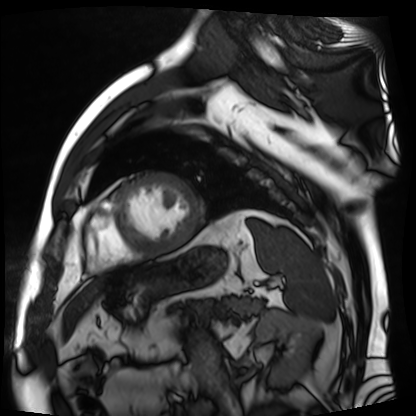
Cardiac MR image of the myocardium.
Subject cohort: cardiac patient.